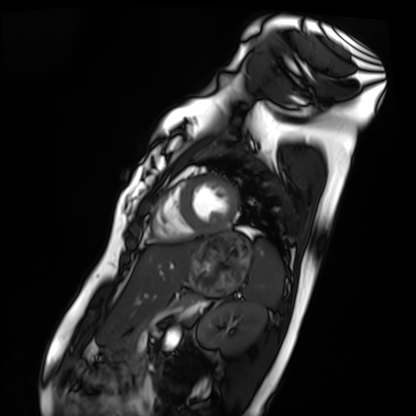
Clinical context: Cardiac MRI. Subject group: healthy volunteer.